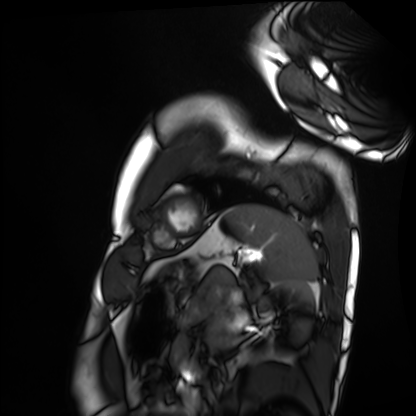
modality=cardiac MRI | subject group=healthy volunteer.